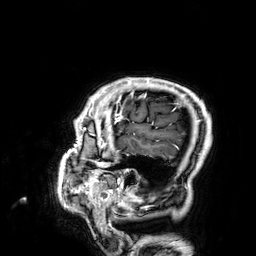
3 Tesla brain MRI. Series: 3D T1-weighted. Study: ring-enhancing brain masses.